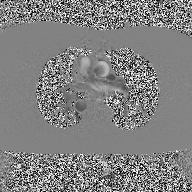
– modality · 2D phase-contrast cine MRI of the ascending aorta